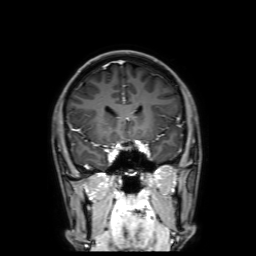
<case>
  <modality>
    <type>brain MRI</type>
    <field_strength>3T</field_strength>
  </modality>
  <series>3D T1-weighted with SENSE</series>
  <study_topic>ring-enhancing brain masses</study_topic>
</case>